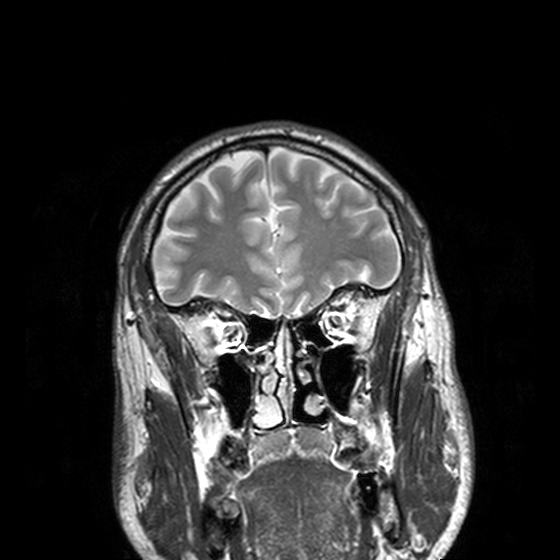
  modality:
    type: brain MRI
    field_strength: 3T
  series: T2-weighted turbo spin echo, 3 mm
  study_topic: ring-enhancing brain masses